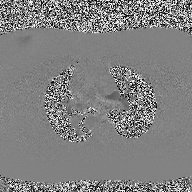
2D phase-contrast cine MRI of the ascending aorta, high-resolution GRAPPA acquisition.